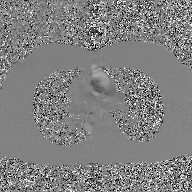
| field | value |
|---|---|
| modality | 2D phase-contrast cine MRI of the ascending aorta, GAN super-resolution reconstruction |